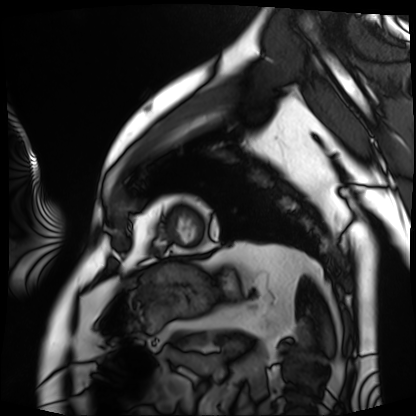
modality — cardiac MRI; subject group — patient.